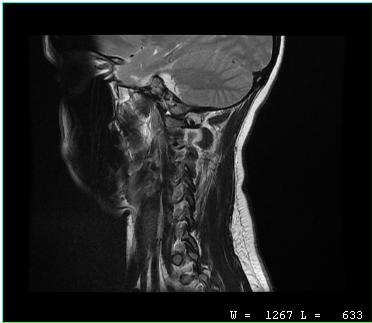
Q: What kind of scan is this?
A: MRI of the cervical spine.
Study: cervical spondylosis.